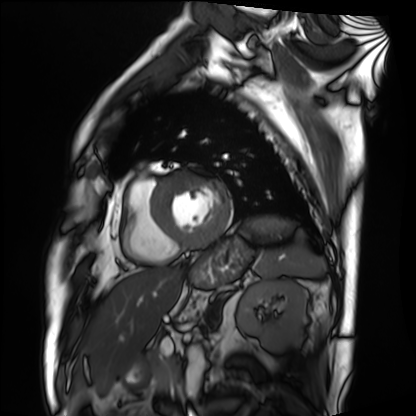
Cardiac MRI. Subject group: patient.